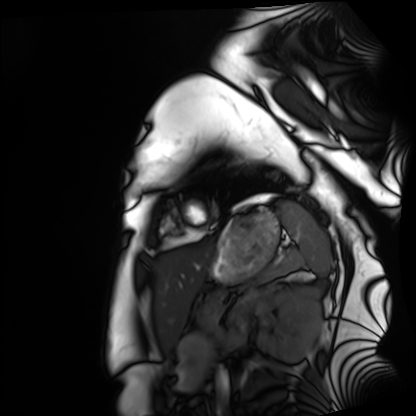
Cardiac MRI.
Subject group: healthy volunteer.